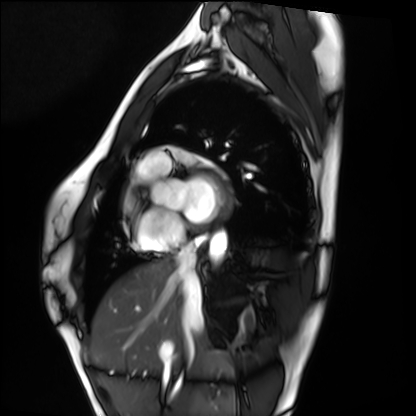
Summary:
Cardiac MRI. Subject group: healthy volunteer.